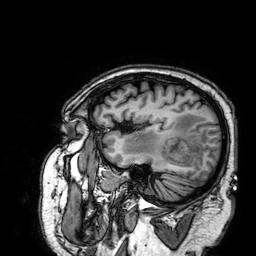
3 Tesla brain MRI. Series: 3D T1-weighted. Study: ring-enhancing brain masses.